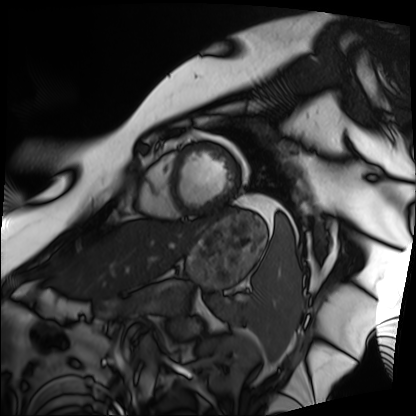
Q: What kind of scan is this?
A: Cardiac MRI.
Subject group: patient.